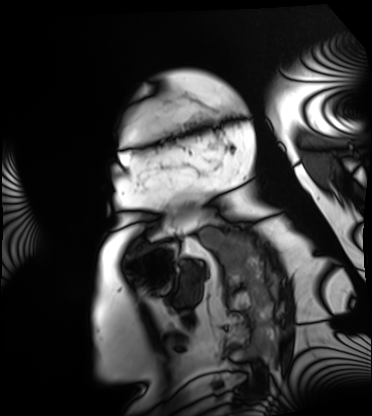
Cardiac MRI.
Subject group: patient.